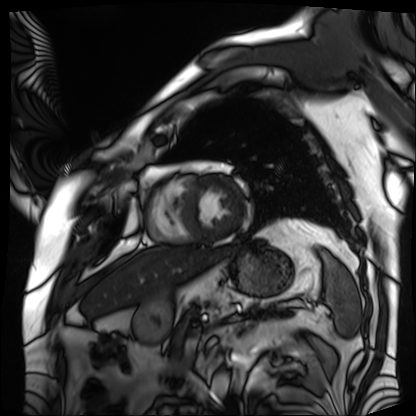
Summary: Cardiac MRI. Subject group: patient.